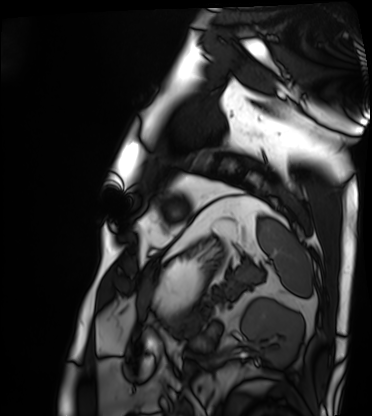
| field | value |
|---|---|
| modality | cardiac MRI |
| subject group | patient |